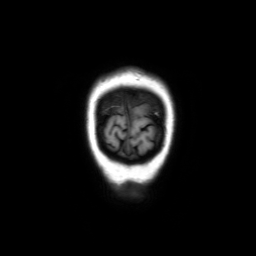
Clinical context: 3 Tesla brain MRI. Series: coronal without contrast. Study: ring-enhancing brain masses.